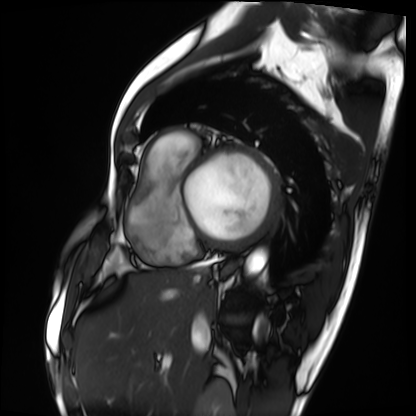
<scan>
<modality>cardiac MRI</modality>
<cohort>patient</cohort>
</scan>